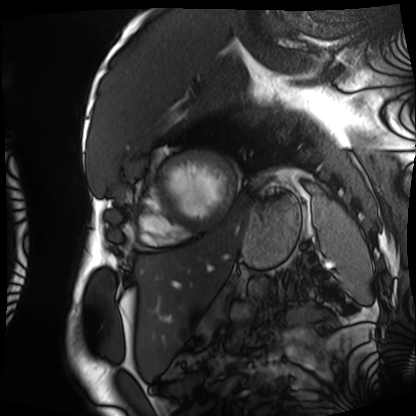
modality: cardiac MRI
cohort: patient